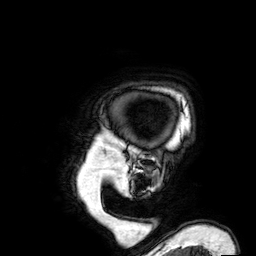
Q: What kind of scan is this?
A: 3 Tesla brain MRI.
Q: Series?
A: 3D T1-weighted.
Study: ring-enhancing brain masses.